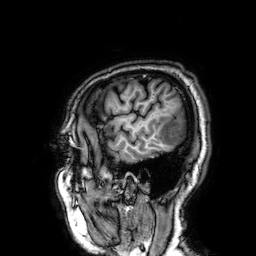
{
  "modality": {
    "type": "brain MRI",
    "field_strength": "3T"
  },
  "series": "3D T1-weighted",
  "study_topic": "ring-enhancing brain masses"
}